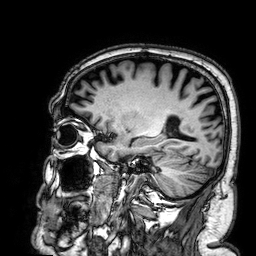
3 Tesla brain MRI.
Study: ring-enhancing brain masses.